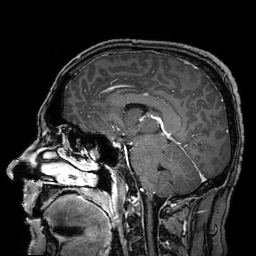
Summary:
3 Tesla brain MRI. Series: 3D T1-weighted turbo field echo with SENSE. Study: ring-enhancing brain masses.